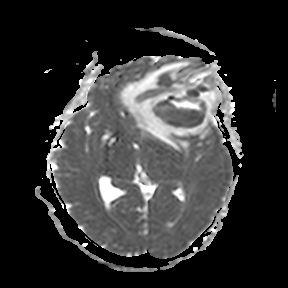
modality = 3 Tesla brain MRI; study = ring-enhancing brain masses.